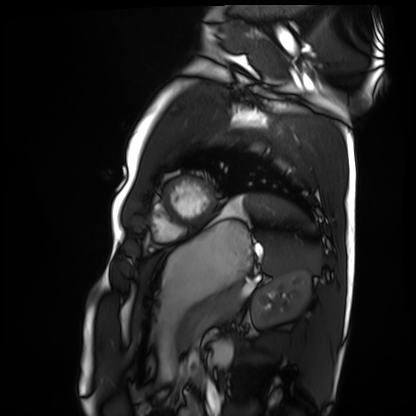
Summary:
Cardiac MRI. Subject group: healthy volunteer.